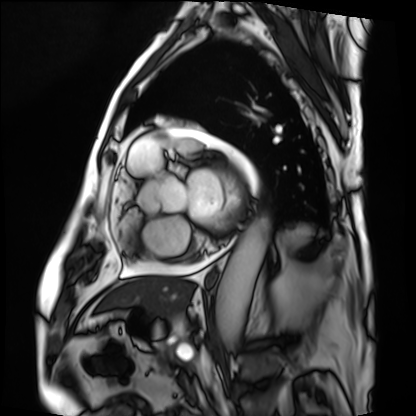
Case summary:
Cardiac MRI. Subject group: patient.